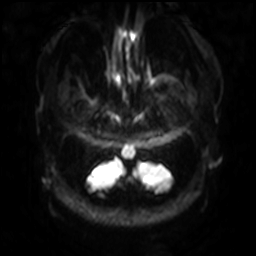
Q: What kind of scan is this?
A: 3 Tesla brain MRI.
Q: Series?
A: Diffusion-weighted imaging with SENSE (WIP).
Study: ring-enhancing brain masses.